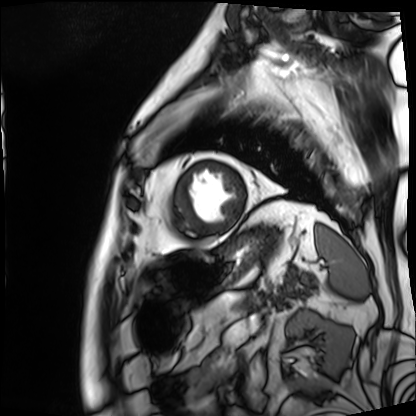
Clinical context:
Cardiac MRI. Subject group: patient.